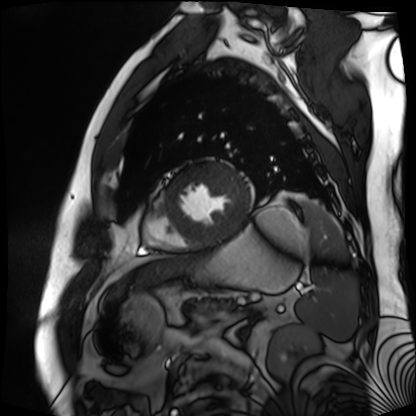
Case summary:
Cardiac MR image of the myocardium. Subject cohort: cardiac patient.